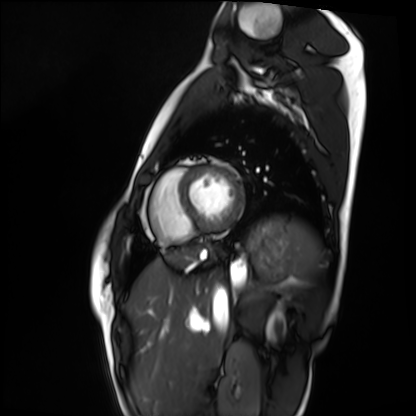
Cardiac MRI. Subject group: healthy volunteer.